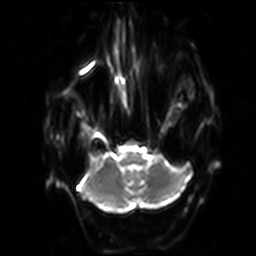
3 Tesla brain MRI. Series: diffusion-weighted imaging with SENSE (WIP). Study: ring-enhancing brain masses.